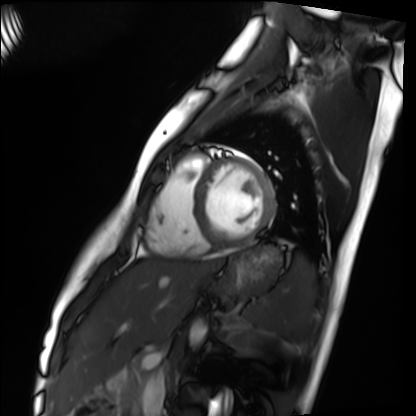
<scan>
<modality>cardiac MRI</modality>
<cohort>healthy volunteer</cohort>
</scan>